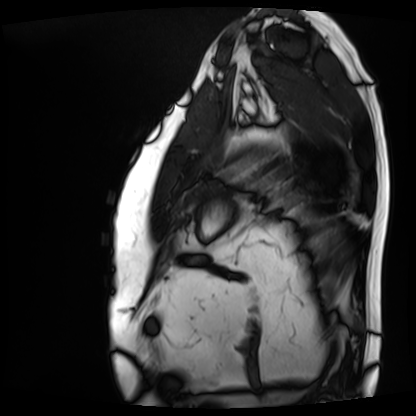
Cardiac MRI. Subject group: patient.